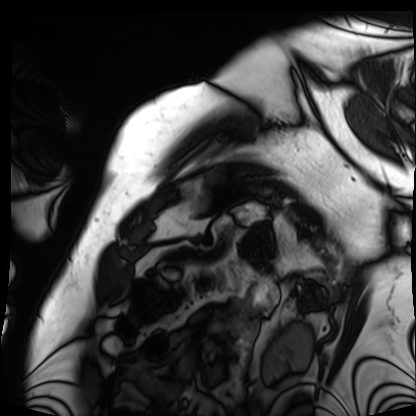
modality: cardiac MRI; subject group: patient.